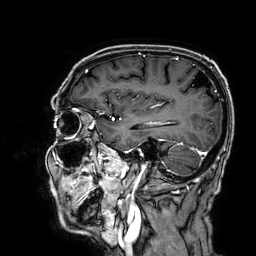
3 Tesla brain MRI. Series: 3D T1-weighted. Study: ring-enhancing brain masses.